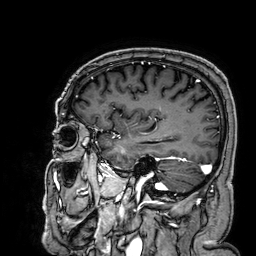
modality:
  type: brain MRI
  field_strength: 3T
series: 3D T1-weighted
study_topic: ring-enhancing brain masses